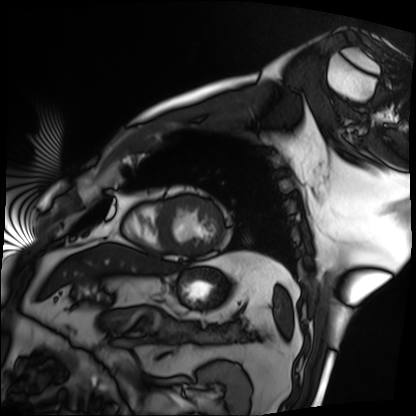
Q: What kind of scan is this?
A: Cardiac MRI.
Subject group: patient.